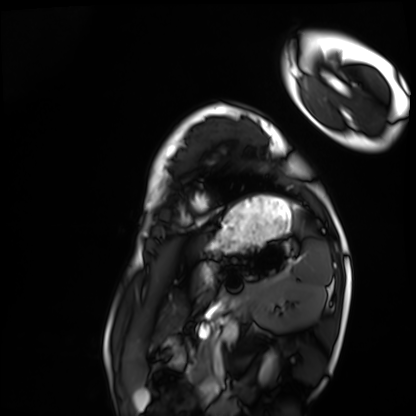
Summary:
Cardiac MRI. Subject group: healthy volunteer.